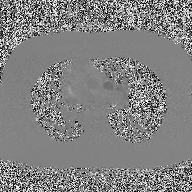
2D phase-contrast cine MRI of the ascending aorta, high-resolution GRAPPA acquisition.